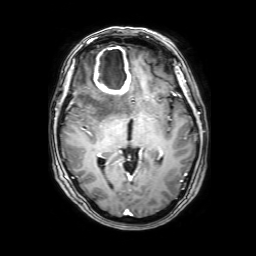
Summary: 3 Tesla brain MRI. Series: 3D T1-weighted with SENSE. Study: ring-enhancing brain masses.